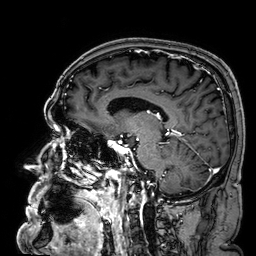
Q: What kind of scan is this?
A: 3 Tesla brain MRI.
Study: ring-enhancing brain masses.